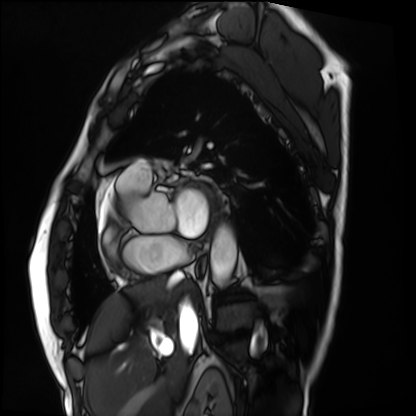
Cardiac MRI. Subject group: patient.